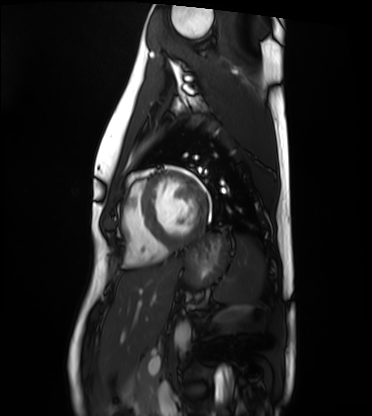
modality: cardiac MRI
cohort: healthy volunteer